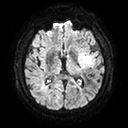
| field | value |
|---|---|
| modality | 3 Tesla brain MRI |
| series | diffusion tensor imaging (medium iso) |
| study | ring-enhancing brain masses |